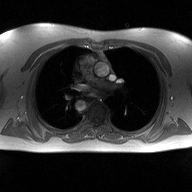
modality = 2D phase-contrast cine MRI of the ascending aorta.